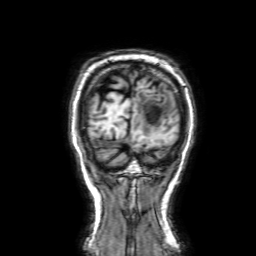
modality: 3 Tesla brain MRI | series: 3D T1-weighted with SENSE | study: ring-enhancing brain masses.